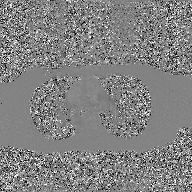
modality:
  type: 2D phase-contrast cine MRI
  region: ascending aorta
  reconstruction: GAN super-resolution reconstruction